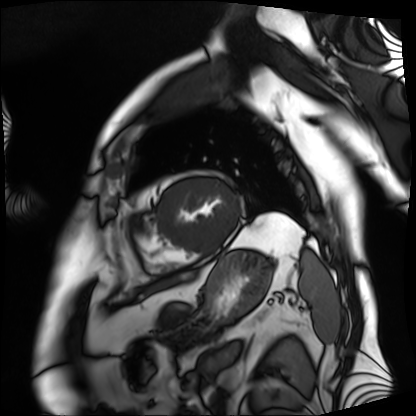
Summary: Cardiac MRI. Subject group: patient.